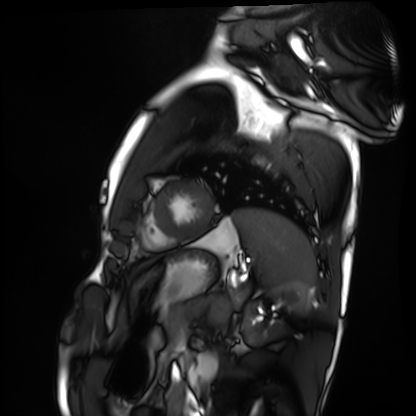
{
  "modality": "cardiac MRI",
  "cohort": "healthy volunteer"
}